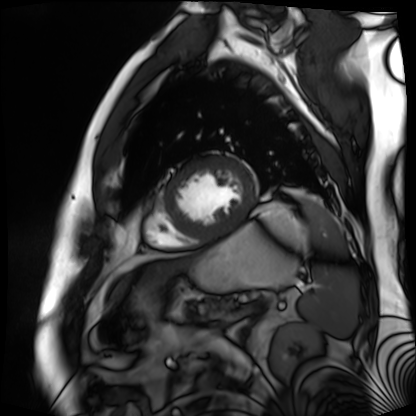
  modality: cardiac MR image of the myocardium
  cohort: cardiac patient